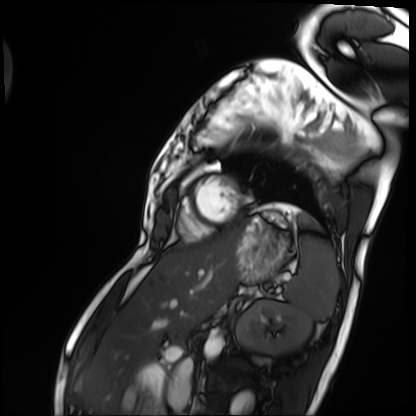
Clinical context: Cardiac MRI. Subject group: patient.